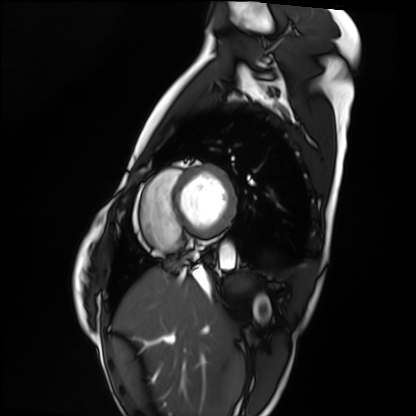
modality: cardiac MRI
cohort: healthy volunteer